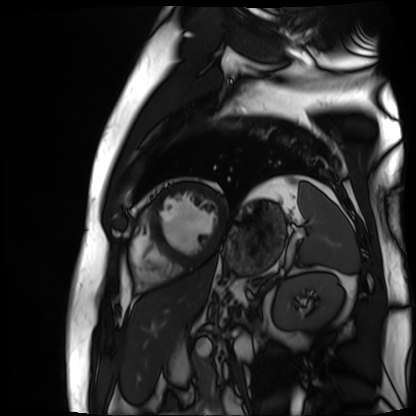
Cardiac MR image of the myocardium. Subject cohort: cardiac patient.